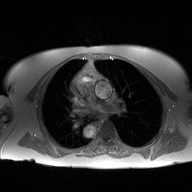
2D phase-contrast cine MRI of the ascending aorta, high-resolution GRAPPA acquisition.